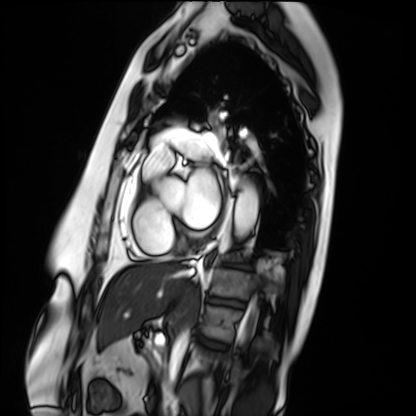
Summary:
Cardiac MRI. Subject group: patient.